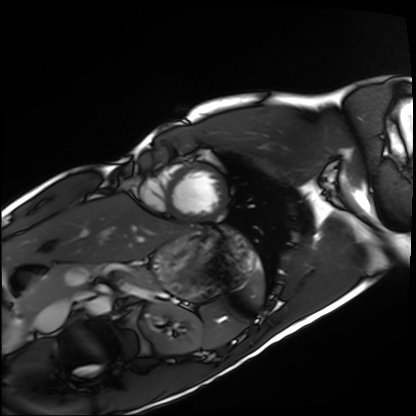
Q: What kind of scan is this?
A: Cardiac MRI.
Subject group: healthy volunteer.